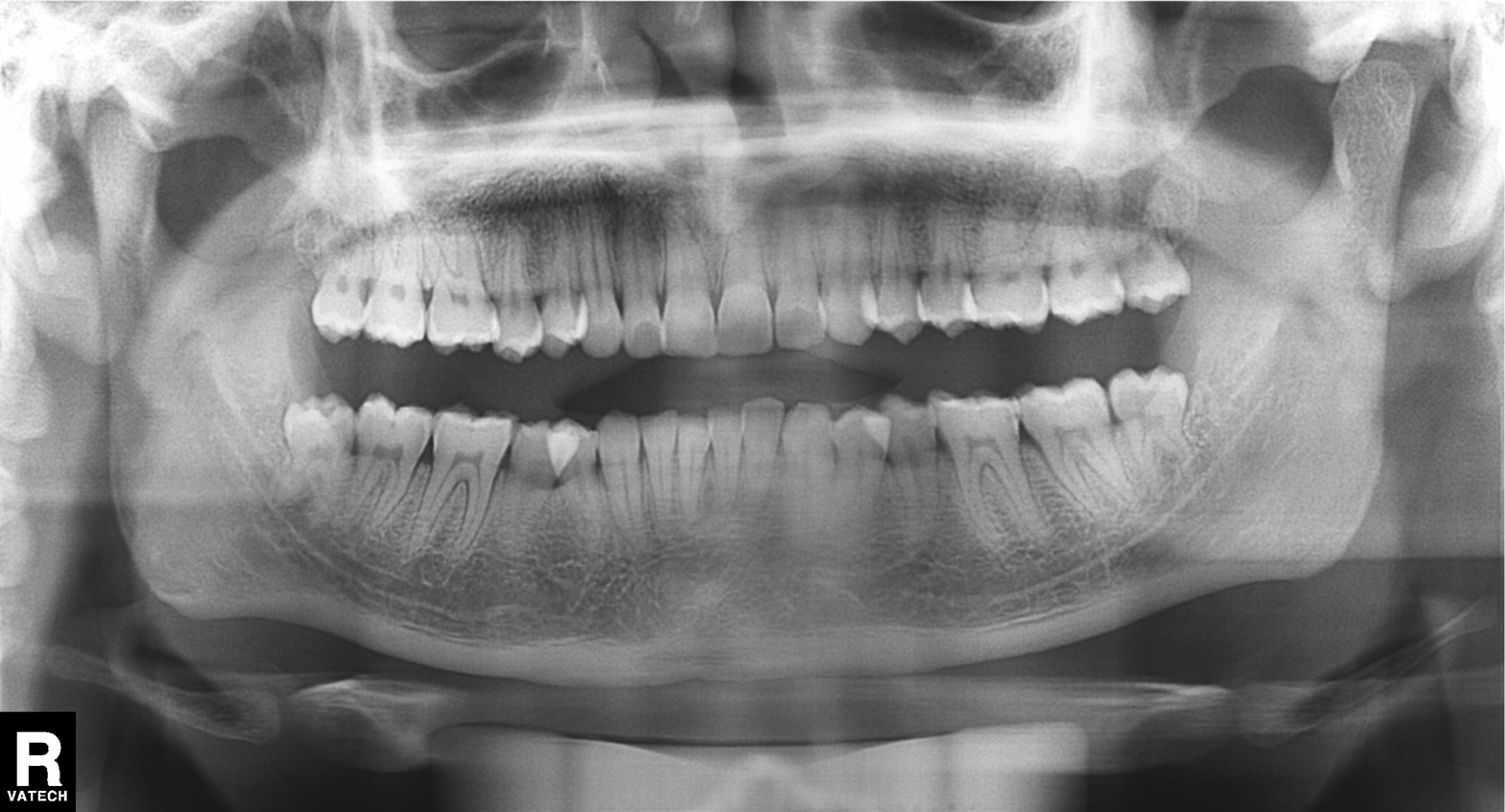
Panoramic dental radiograph (orthopantomogram). Finding: dental caries (cavities).